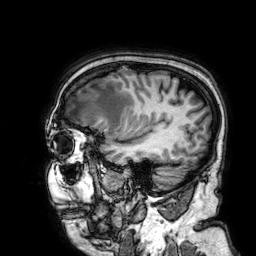
modality — 3 Tesla brain MRI
series — 3D T1-weighted
study — ring-enhancing brain masses